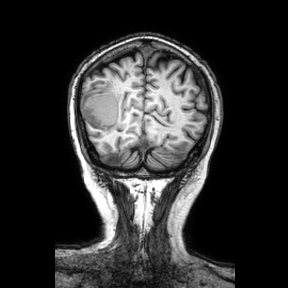
| field | value |
|---|---|
| modality | 3 Tesla brain MRI |
| series | coronal |
| study | ring-enhancing brain masses |